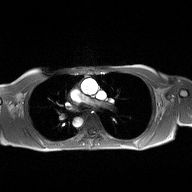
Q: What kind of scan is this?
A: 2D phase-contrast cine MRI of the ascending aorta.